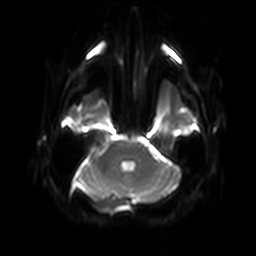
Q: What kind of scan is this?
A: 3 Tesla brain MRI.
Q: Series?
A: Diffusion-weighted imaging with SENSE (WIP).
Study: ring-enhancing brain masses.